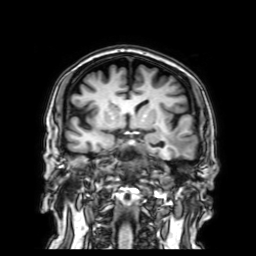
3 Tesla brain MRI.
Series: 3D T1-weighted with SENSE.
Study: ring-enhancing brain masses.